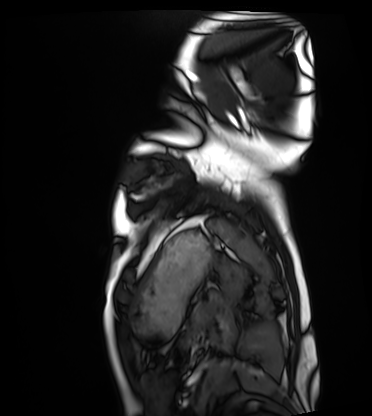
Cardiac MRI. Subject group: healthy volunteer.